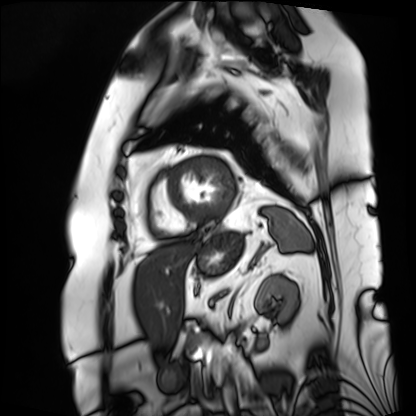
Q: What kind of scan is this?
A: Cardiac MRI.
Subject group: patient.